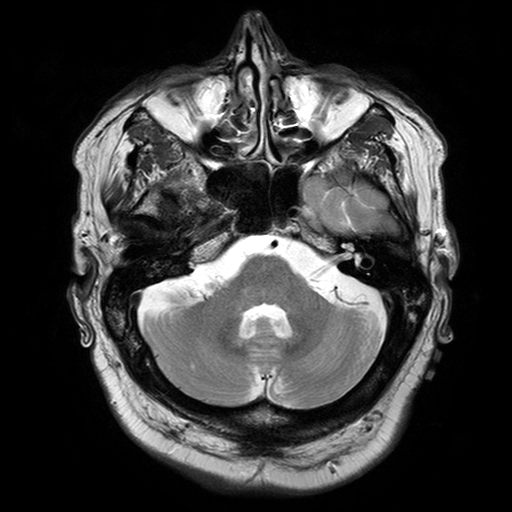
modality: 3 Tesla brain MRI
series: T2-weighted turbo spin echo with SENSE
study: ring-enhancing brain masses